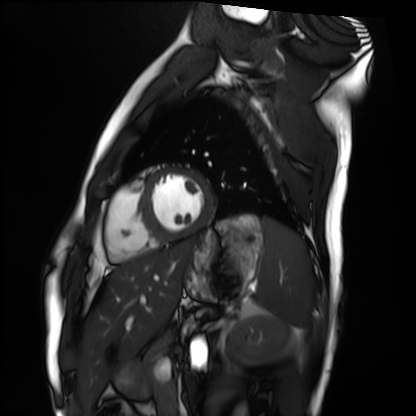
• modality: cardiac MRI
• subject group: healthy volunteer